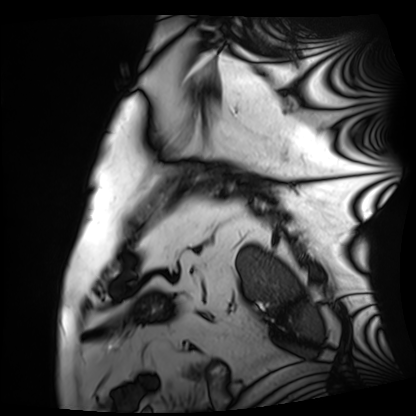
Cardiac MRI.
Subject group: patient.